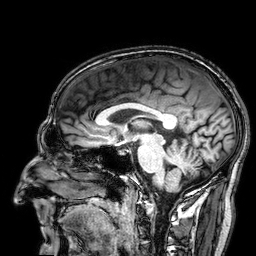
3 Tesla brain MRI. Series: 3D T1-weighted. Study: ring-enhancing brain masses.